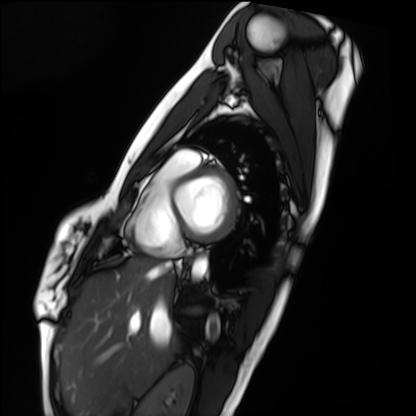
Cardiac MRI. Subject group: healthy volunteer.